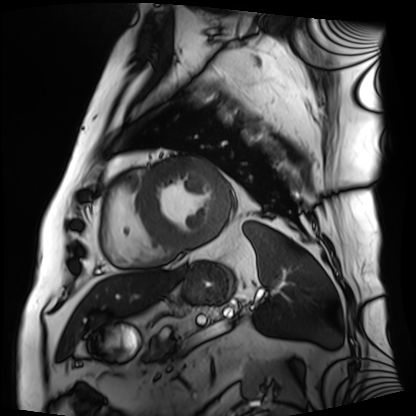
modality = cardiac MRI
subject group = patient